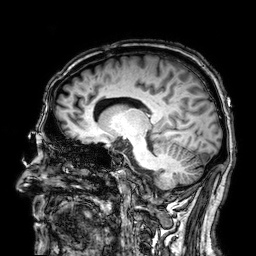
* modality · 3 Tesla brain MRI
* series · 3D T1-weighted
* study · ring-enhancing brain masses